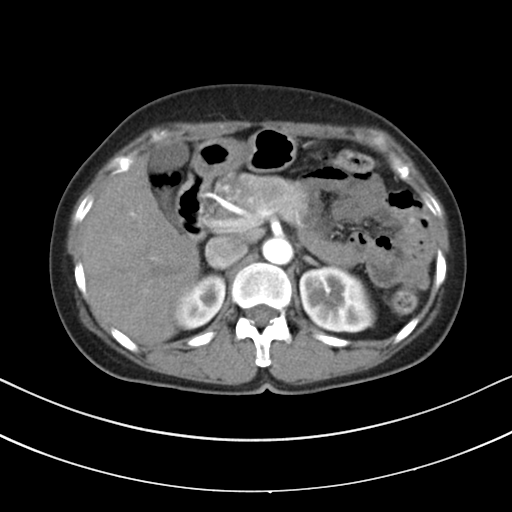
modality: multiphase abdominal CT, liver, arterial phase
patient: female, age 61